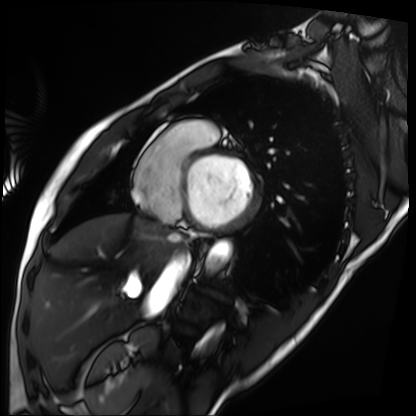
<study>
<modality>cardiac MRI</modality>
<cohort>patient</cohort>
</study>